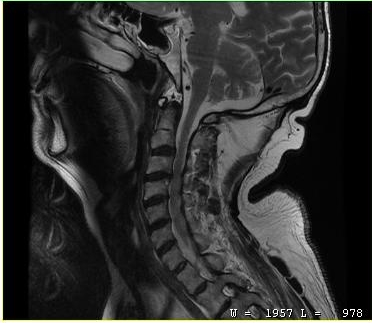
<case>
  <modality>
    <type>cervical spine MRI</type>
  </modality>
  <study_topic>cervical spondylosis</study_topic>
</case>